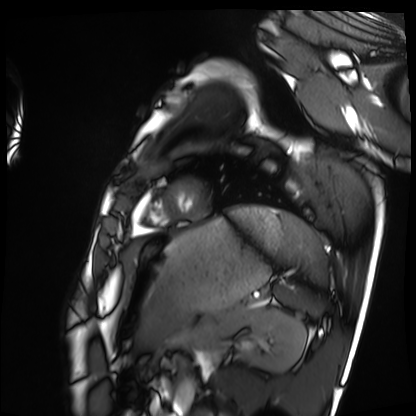
• modality · cardiac MRI
• subject group · healthy volunteer